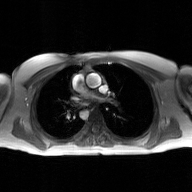
Q: What kind of scan is this?
A: 2D phase-contrast cine MRI of the ascending aorta, GAN super-resolution reconstruction.